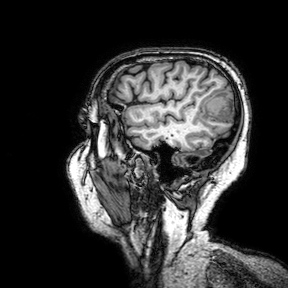
modality — 3 Tesla brain MRI; series — 3D T1-weighted turbo field echo with SENSE; study — ring-enhancing brain masses.